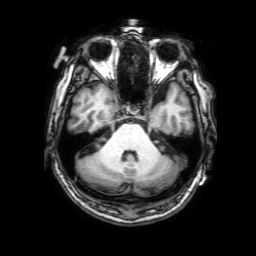
* modality: 3 Tesla brain MRI
* series: 3D T1-weighted with SENSE
* study: ring-enhancing brain masses